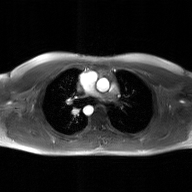
- modality — 2D phase-contrast cine MRI of the ascending aorta, GAN super-resolution reconstruction